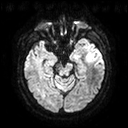
3 Tesla brain MRI. Series: diffusion tensor imaging (medium iso). Study: ring-enhancing brain masses.